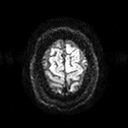
Q: What kind of scan is this?
A: 3 Tesla brain MRI.
Study: ring-enhancing brain masses.